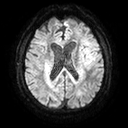
Case summary: 3 Tesla brain MRI. Series: diffusion tensor imaging (medium iso). Study: ring-enhancing brain masses.